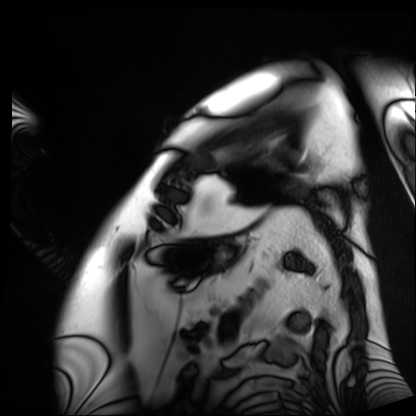
Cardiac MRI. Subject group: patient.